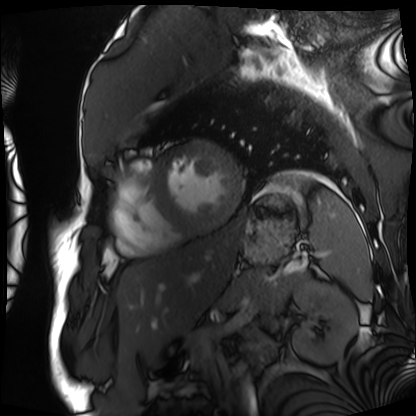
modality: cardiac MRI, subject group: patient.